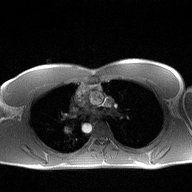
{
  "modality": {
    "type": "2D phase-contrast cine MRI",
    "region": "ascending aorta",
    "reconstruction": "high-resolution GRAPPA acquisition"
  }
}